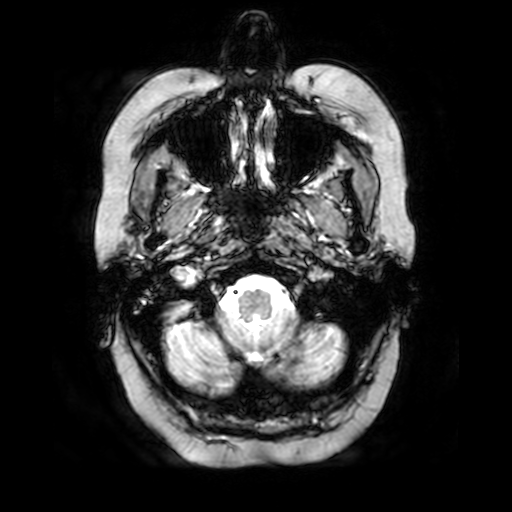
Summary:
3 Tesla brain MRI. Series: T2-weighted fast field echo. Study: ring-enhancing brain masses.